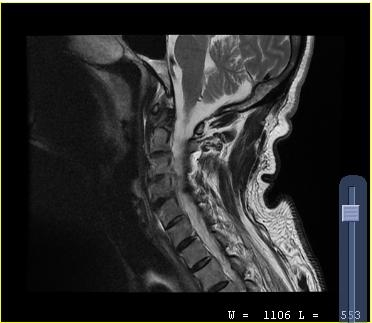
MRI of the cervical spine.
Study: cervical spondylosis.